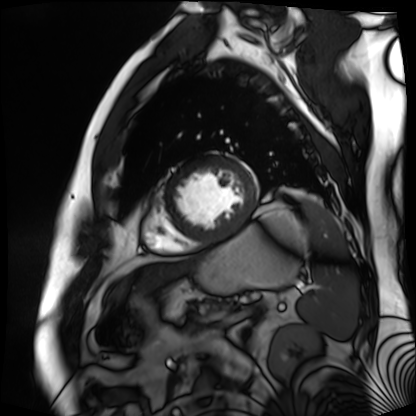
Q: What kind of scan is this?
A: Cardiac MR image of the myocardium.
Subject cohort: cardiac patient.